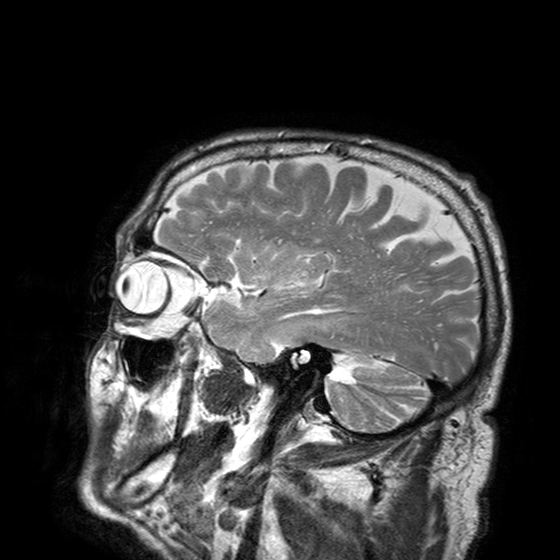
modality — 3 Tesla brain MRI; series — T2-weighted turbo spin echo with SENSE; study — ring-enhancing brain masses.